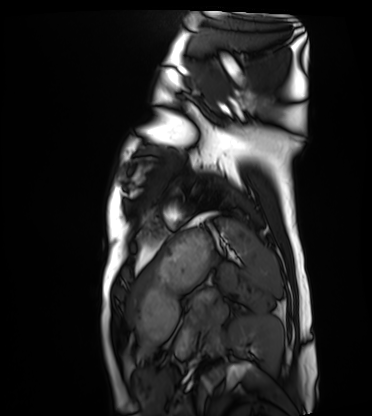
Cardiac MRI. Subject group: healthy volunteer.